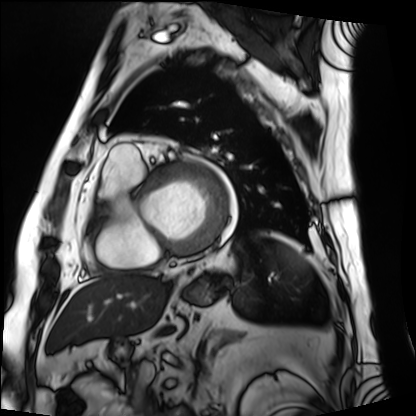
Summary:
Cardiac MRI. Subject group: patient.